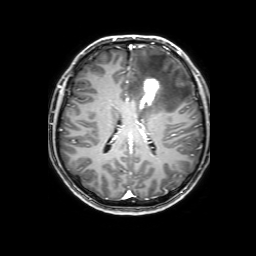
- modality — 3 Tesla brain MRI
- study — ring-enhancing brain masses